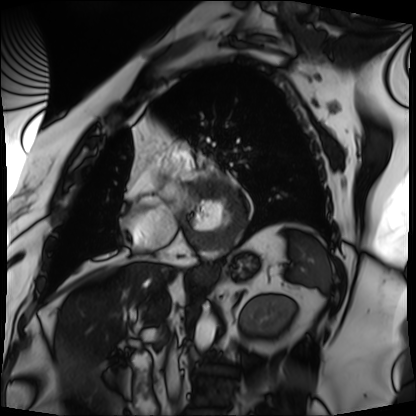
modality = cardiac MRI
subject group = patient